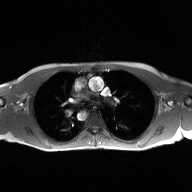
modality=2D phase-contrast cine MRI of the ascending aorta.